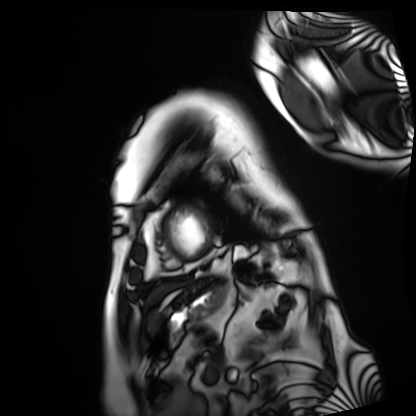
Q: What kind of scan is this?
A: Cardiac MRI.
Subject group: patient.